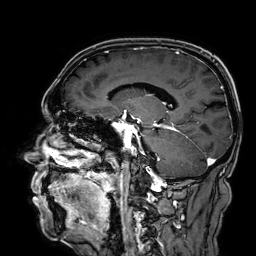
3 Tesla brain MRI. Study: ring-enhancing brain masses.